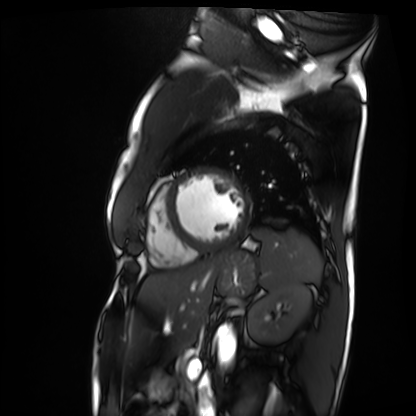
Case summary:
Cardiac MRI. Subject group: patient.